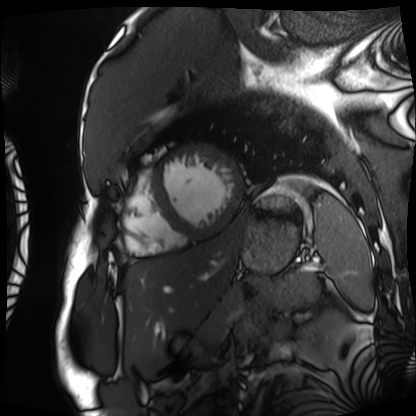
modality: cardiac MRI
subject group: patient